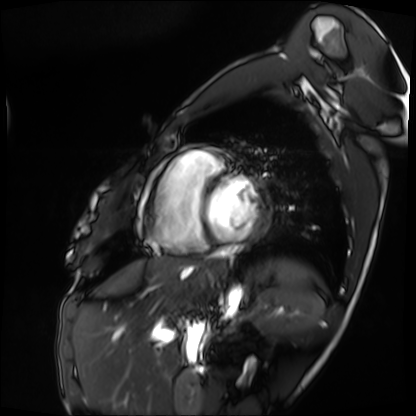
Cardiac MRI. Subject group: patient.